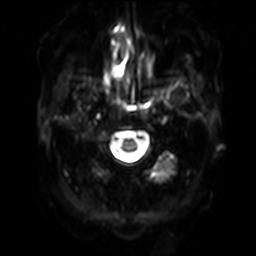
<study>
<modality>
  <type>brain MRI</type>
  <field_strength>3T</field_strength>
</modality>
<series>diffusion-weighted imaging with SENSE (WIP)</series>
<study_topic>ring-enhancing brain masses</study_topic>
</study>